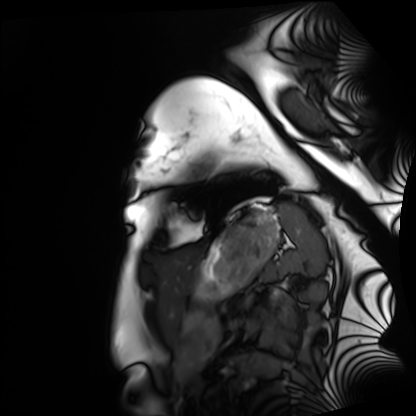
Summary: Cardiac MRI. Subject group: healthy volunteer.